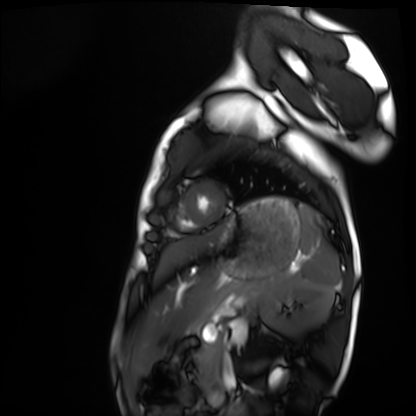
Case:
- modality · cardiac MRI
- subject group · healthy volunteer